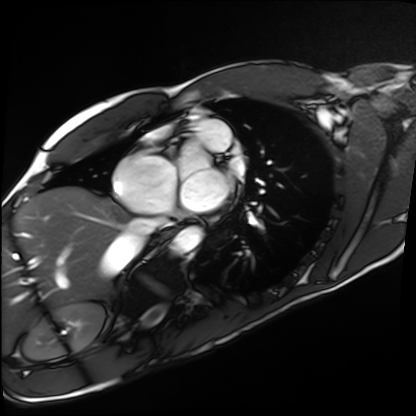
Cardiac MRI.
Subject group: healthy volunteer.